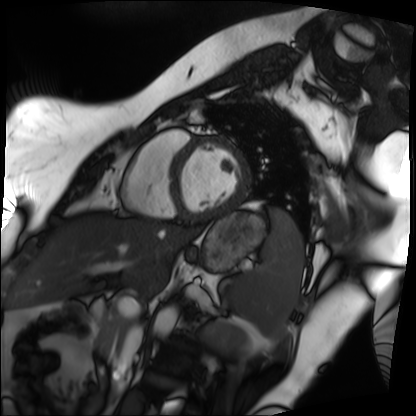
modality = cardiac MRI, subject group = patient.